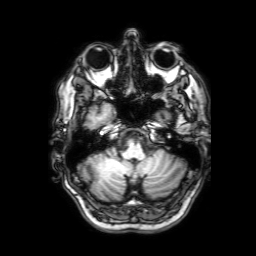
* modality · 3 Tesla brain MRI
* series · 3D T1-weighted with SENSE
* study · ring-enhancing brain masses